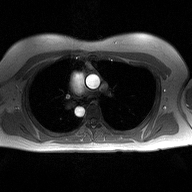
modality: 2D phase-contrast cine MRI of the ascending aorta.